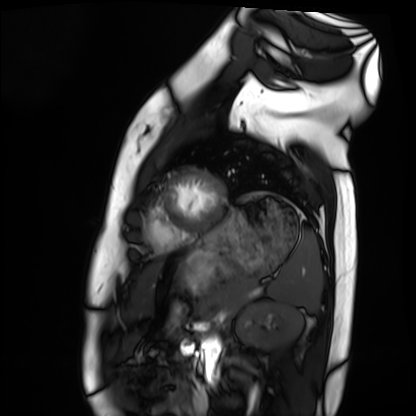
modality=cardiac MRI
subject group=healthy volunteer